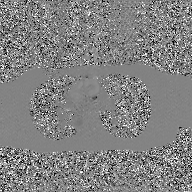
2D phase-contrast cine MRI of the ascending aorta, GAN super-resolution reconstruction.